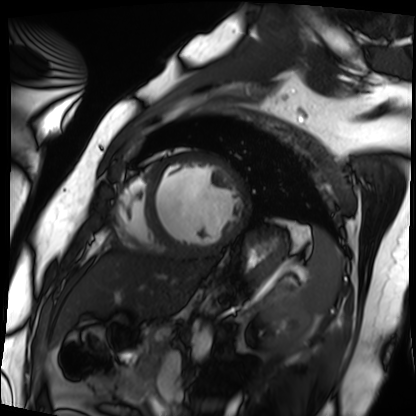
Q: What kind of scan is this?
A: Cardiac MRI.
Subject group: patient.